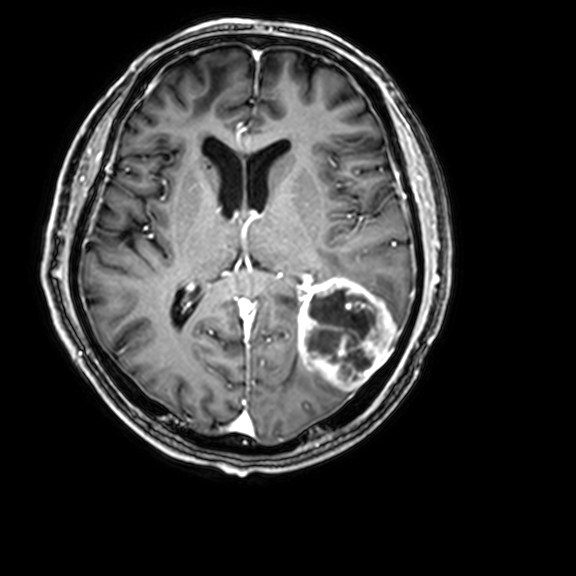
3 Tesla brain MRI. Series: 3D T1-weighted with CLEAR. Study: ring-enhancing brain masses.